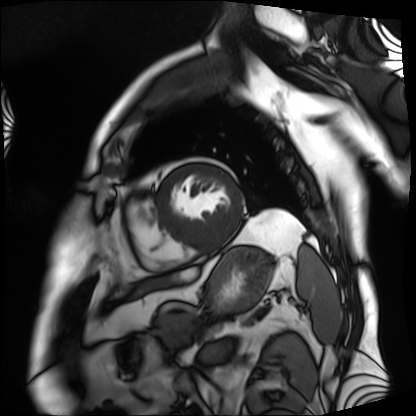
modality: cardiac MRI | subject group: patient.